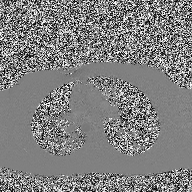
modality: 2D phase-contrast cine MRI of the ascending aorta.